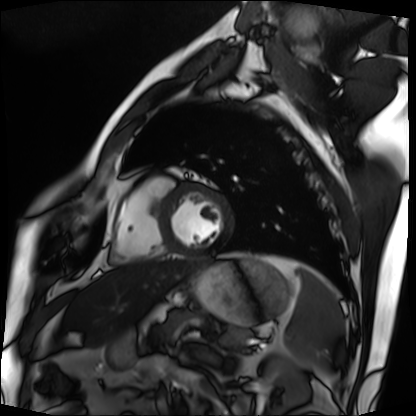
Q: What kind of scan is this?
A: Cardiac MRI.
Subject group: patient.